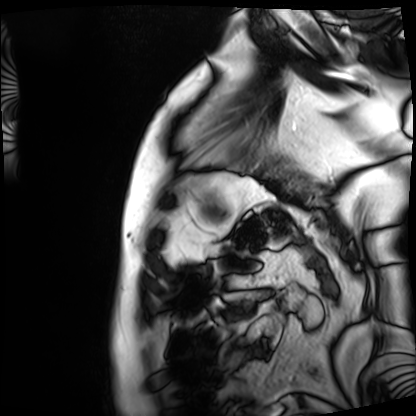
{"modality": "cardiac MRI", "cohort": "patient"}